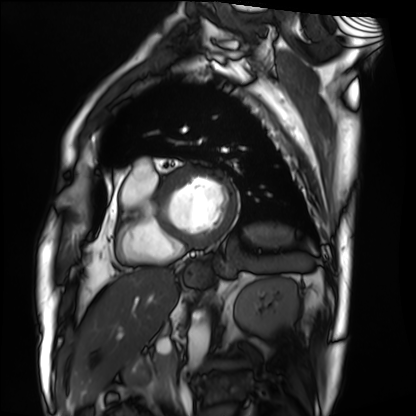
Cardiac MRI. Subject group: patient.